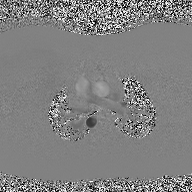
2D phase-contrast cine MRI of the ascending aorta, high-resolution GRAPPA acquisition.